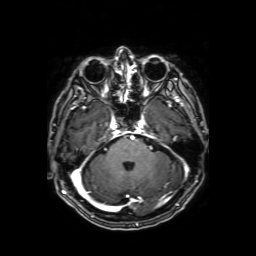
Q: What kind of scan is this?
A: 3 Tesla brain MRI.
Q: Series?
A: Axial T1-weighted fusion image.
Study: ring-enhancing brain masses.